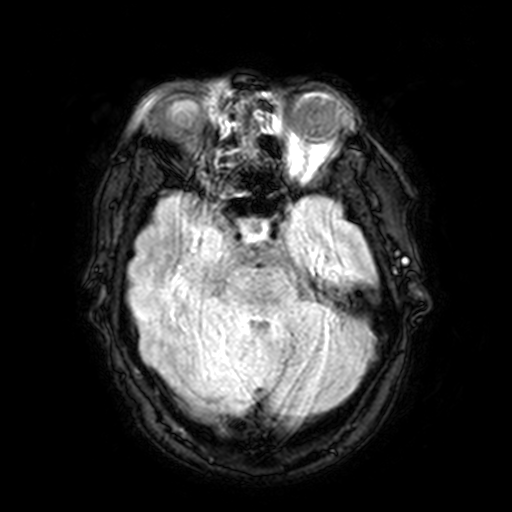
| field | value |
|---|---|
| modality | 3 Tesla brain MRI |
| study | ring-enhancing brain masses |